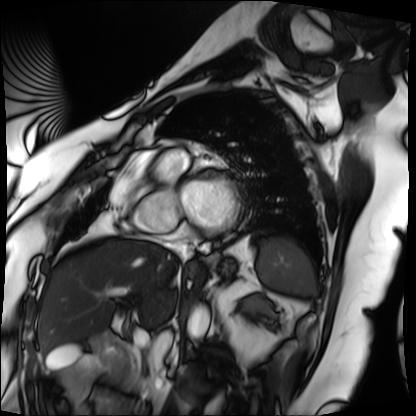
<study>
<modality>cardiac MRI</modality>
<cohort>patient</cohort>
</study>